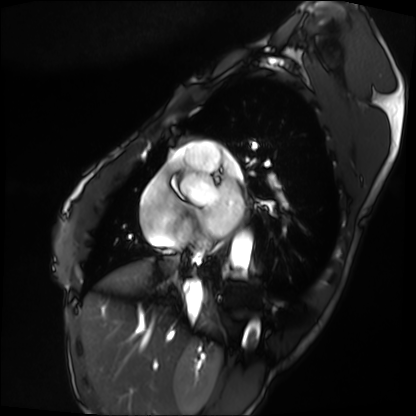
Cardiac MRI. Subject group: patient.